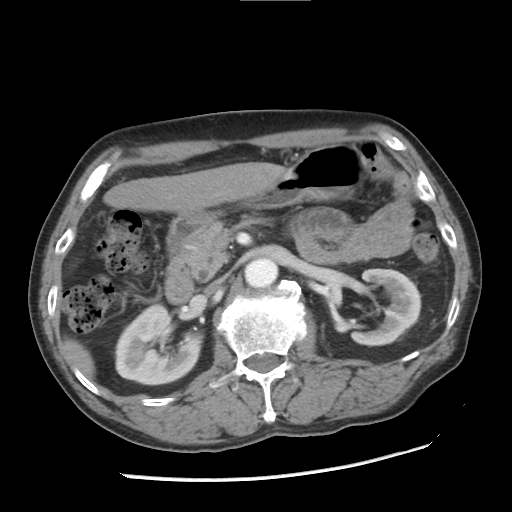
{
  "modality": {
    "type": "multiphase abdominal CT",
    "region": "liver",
    "phase": "arterial"
  },
  "patient": {
    "sex": "male",
    "age": 67
  }
}